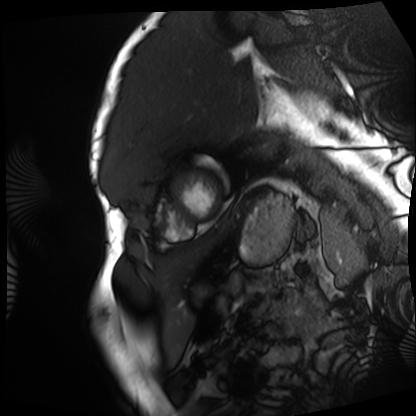
Cardiac MRI.
Subject group: patient.